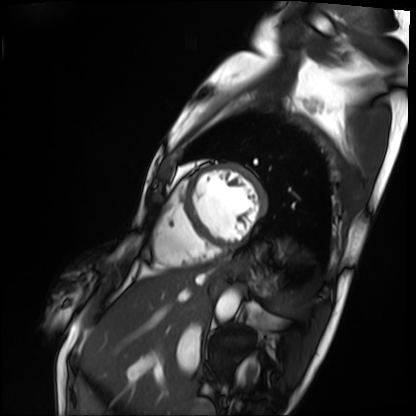
modality: cardiac MRI; subject group: patient.